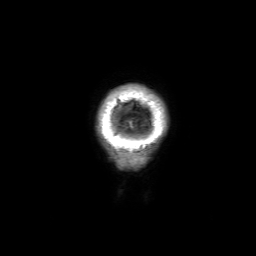
3 Tesla brain MRI.
Series: 3D T1-weighted with SENSE.
Study: ring-enhancing brain masses.